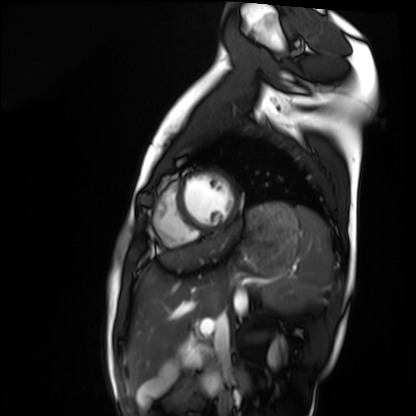
Cardiac MRI.
Subject group: healthy volunteer.